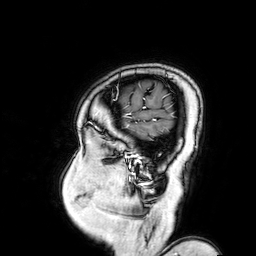
3 Tesla brain MRI. Series: 3D T1-weighted turbo field echo with SENSE. Study: ring-enhancing brain masses.